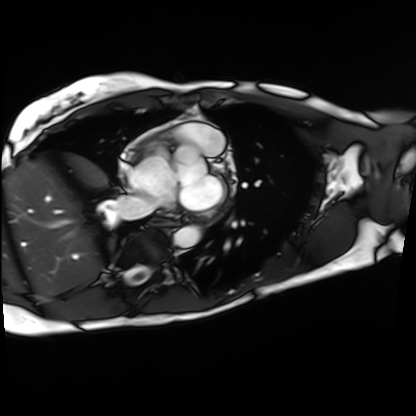
Cardiac MRI.
Subject group: patient.